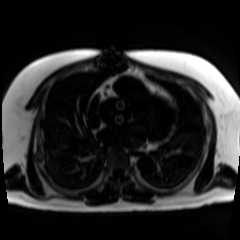
Case summary:
Chemical-shift-encoded cardiac MRI.